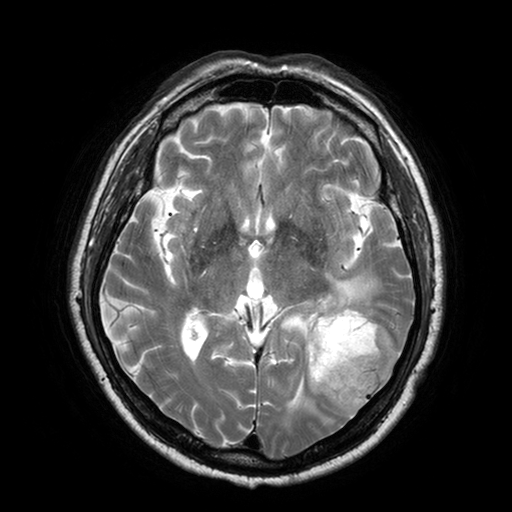
modality=3 Tesla brain MRI | series=T2-weighted turbo spin echo with SENSE | study=ring-enhancing brain masses.